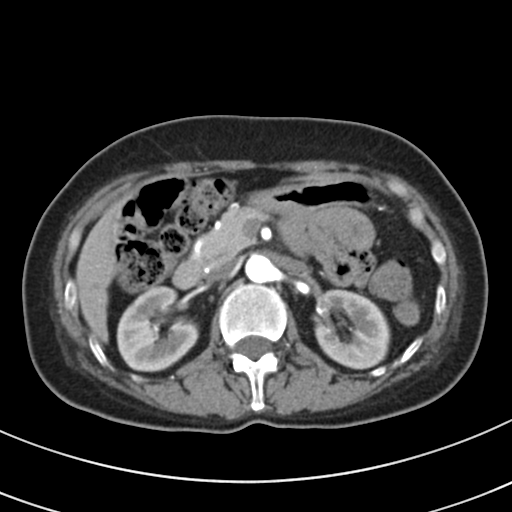
modality = multiphase abdominal CT, liver, arterial phase; patient = female, age 51; history = prior chemotherapy.